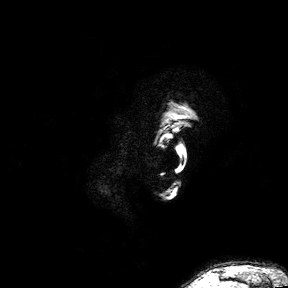
modality: 3 Tesla brain MRI; series: 3D T1-weighted turbo field echo with SENSE; study: ring-enhancing brain masses.